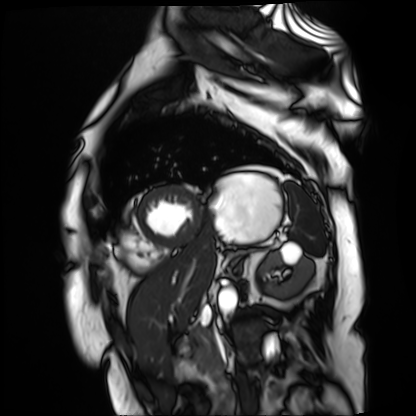
  modality: cardiac MR image of the myocardium
  cohort: cardiac patient